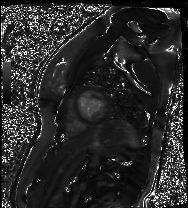
modality: cardiac MR image of the myocardium
subject cohort: healthy volunteer